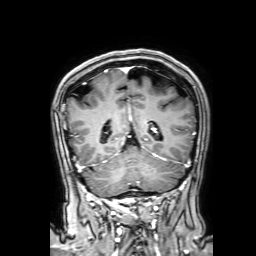
modality:
  type: brain MRI
  field_strength: 3T
series: 3D T1-weighted with SENSE
study_topic: ring-enhancing brain masses